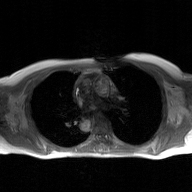
Summary:
2D phase-contrast cine MRI of the ascending aorta, GAN super-resolution reconstruction.